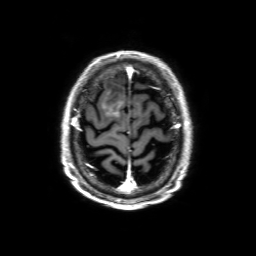
Clinical context: 3 Tesla brain MRI. Series: 3D T1-weighted with SENSE. Study: ring-enhancing brain masses.